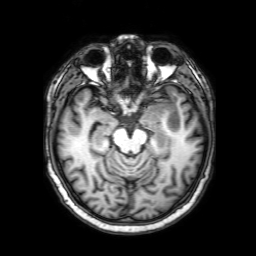
- modality — 3 Tesla brain MRI
- series — 3D T1-weighted with SENSE
- study — ring-enhancing brain masses